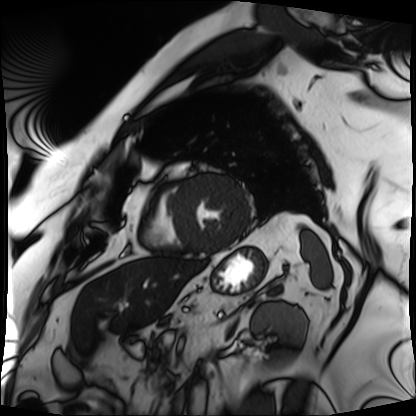
{
  "modality": "cardiac MRI",
  "cohort": "patient"
}